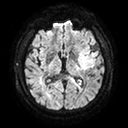
modality:
  type: brain MRI
  field_strength: 3T
series: diffusion tensor imaging (medium iso)
study_topic: ring-enhancing brain masses